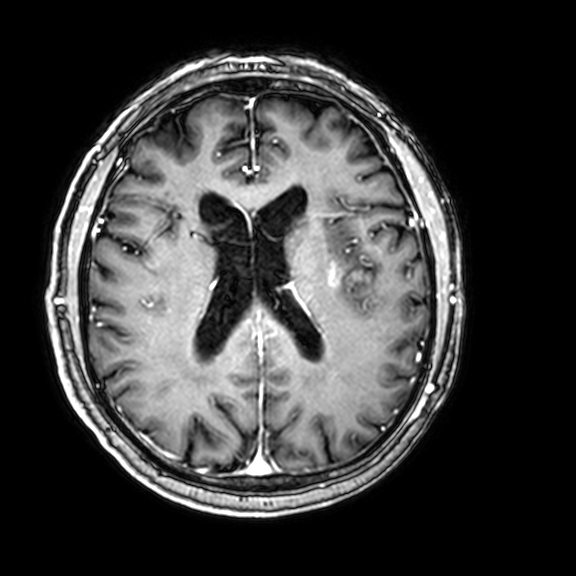
Case:
* modality — 3 Tesla brain MRI
* series — 3D T1-weighted with CLEAR
* study — ring-enhancing brain masses